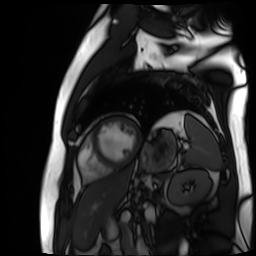
Q: What kind of scan is this?
A: Cardiac MR image of the myocardium.
Subject cohort: cardiac patient.